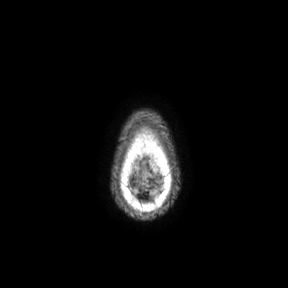
{"modality": {"type": "brain MRI", "field_strength": "3T"}, "series": "axial", "study_topic": "ring-enhancing brain masses"}